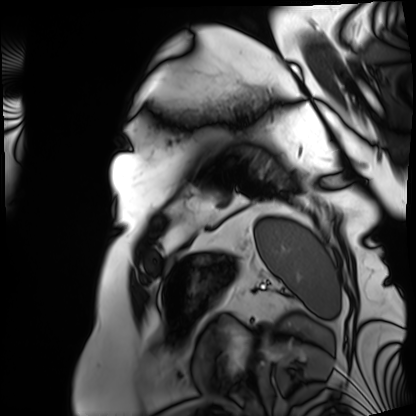
Case:
* modality — cardiac MRI
* subject group — patient